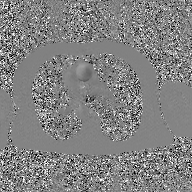
Case summary: 2D phase-contrast cine MRI of the ascending aorta, GAN super-resolution reconstruction.